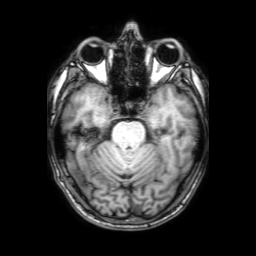
modality:
  type: brain MRI
  field_strength: 3T
series: 3D T1-weighted with SENSE
study_topic: ring-enhancing brain masses